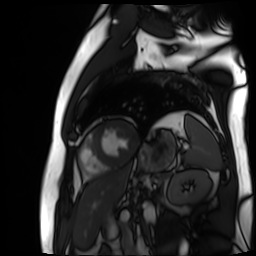
Cardiac MR image of the myocardium. Subject cohort: cardiac patient.